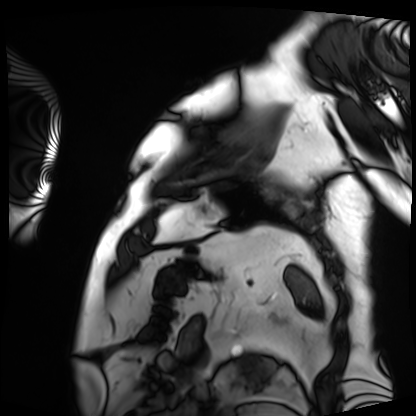
Case:
- modality — cardiac MRI
- subject group — patient